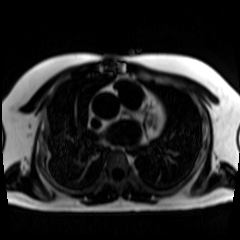
– modality: chemical-shift-encoded cardiac MRI